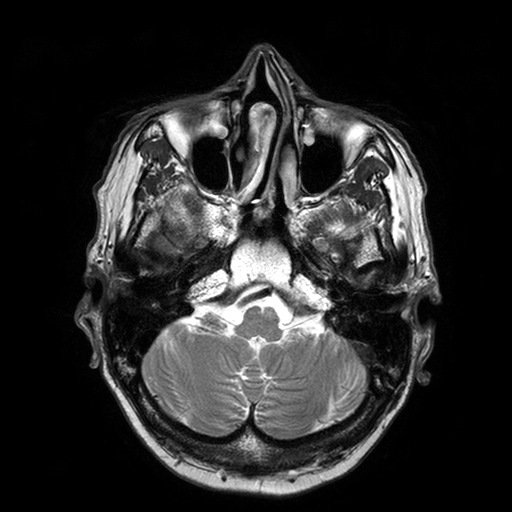
{"modality": {"type": "brain MRI", "field_strength": "3T"}, "series": "T2-weighted turbo spin echo with SENSE", "study_topic": "ring-enhancing brain masses"}